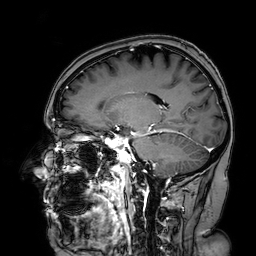
3 Tesla brain MRI.
Series: 3D T1-weighted turbo field echo with SENSE.
Study: ring-enhancing brain masses.